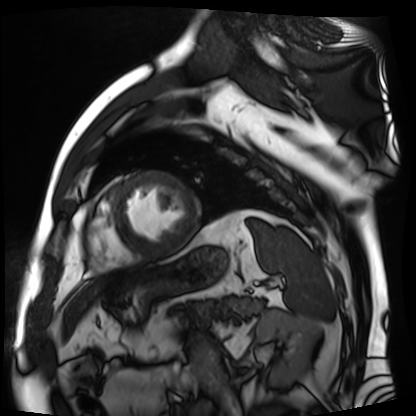
modality — cardiac MR image of the myocardium
subject cohort — cardiac patient